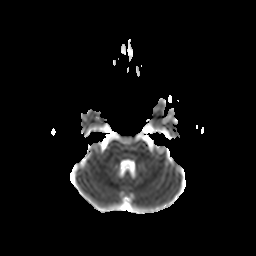
{"modality": {"type": "brain MRI", "field_strength": "3T"}, "series": "diffusion-weighted imaging with CLEAR", "study_topic": "ring-enhancing brain masses"}